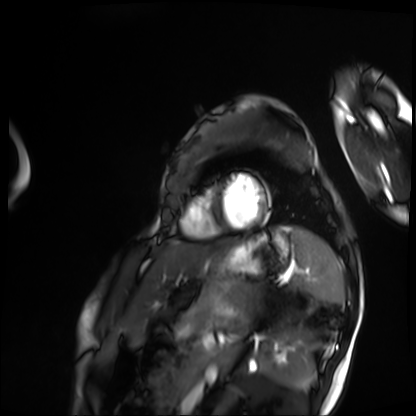
Summary: Cardiac MRI. Subject group: patient.